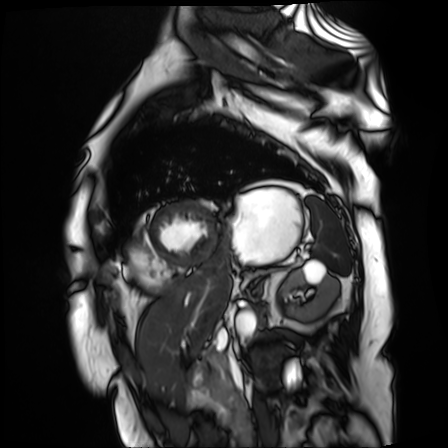
<study>
  <modality>cardiac MR image of the myocardium</modality>
  <cohort>cardiac patient</cohort>
</study>